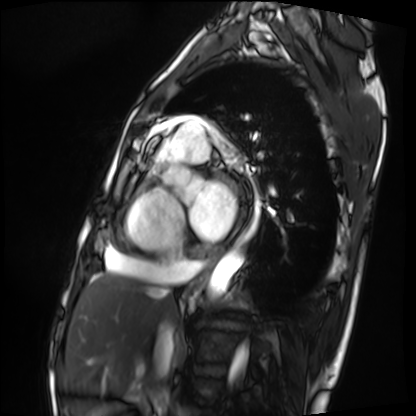
Cardiac MRI.
Subject group: patient.